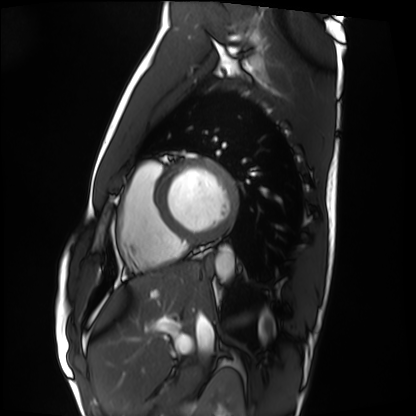
{"modality": "cardiac MRI", "cohort": "healthy volunteer"}